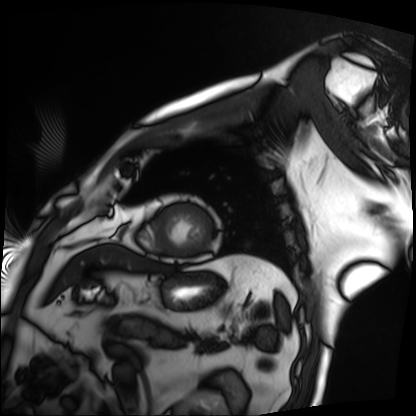
Q: What kind of scan is this?
A: Cardiac MRI.
Subject group: patient.